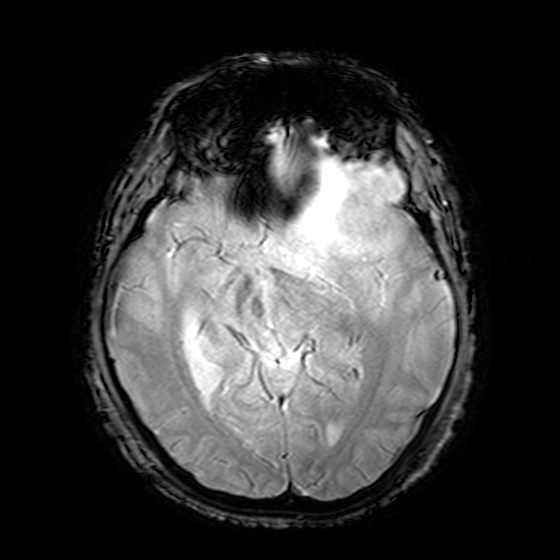
3 Tesla brain MRI. Series: T2-weighted fast field echo. Study: ring-enhancing brain masses.